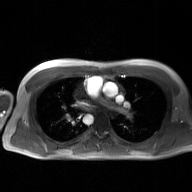
2D phase-contrast cine MRI of the ascending aorta, GAN super-resolution reconstruction.